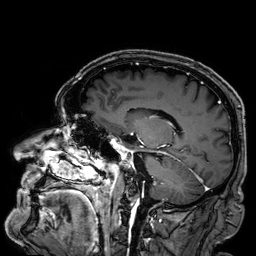
3 Tesla brain MRI. Series: 3D T1-weighted. Study: ring-enhancing brain masses.